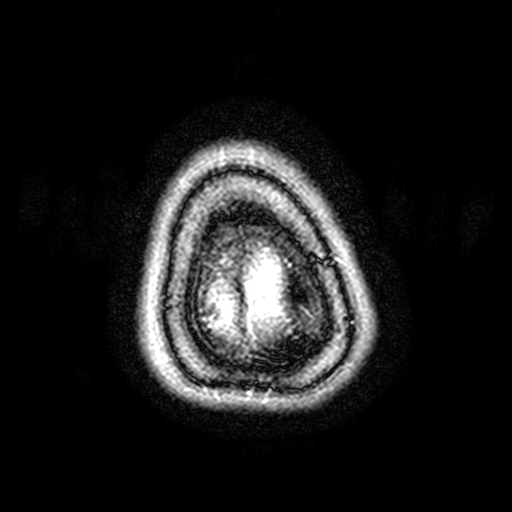
Summary:
3 Tesla brain MRI. Series: FLAIR with SPAIR, 3 mm. Study: ring-enhancing brain masses.